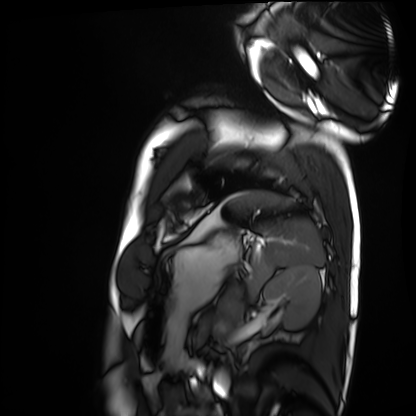
modality: cardiac MRI; subject group: healthy volunteer.